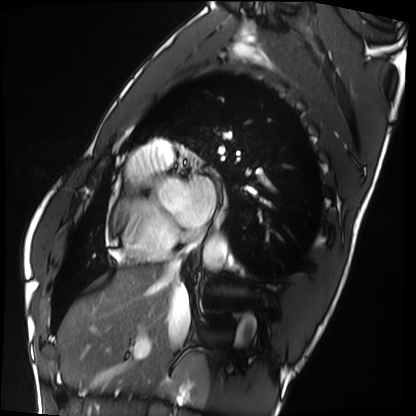
{
  "modality": "cardiac MRI",
  "cohort": "healthy volunteer"
}